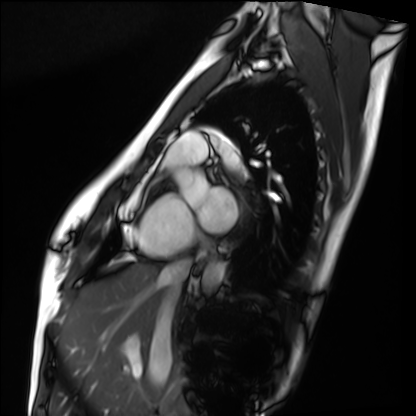
modality: cardiac MRI
subject group: healthy volunteer